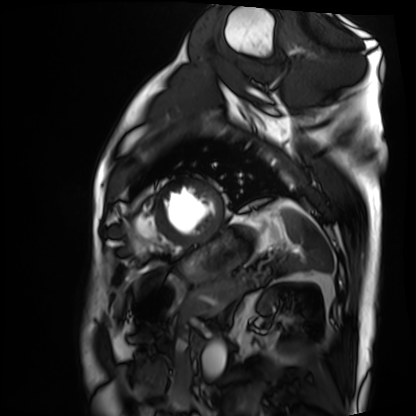
modality: cardiac MRI
subject group: patient